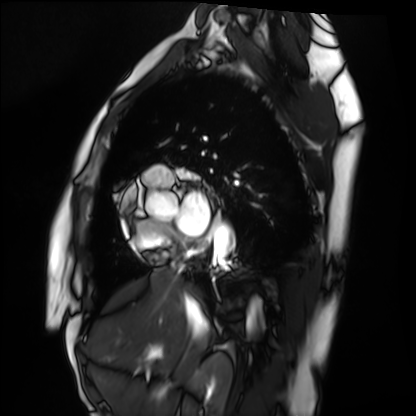
modality: cardiac MRI, subject group: healthy volunteer.